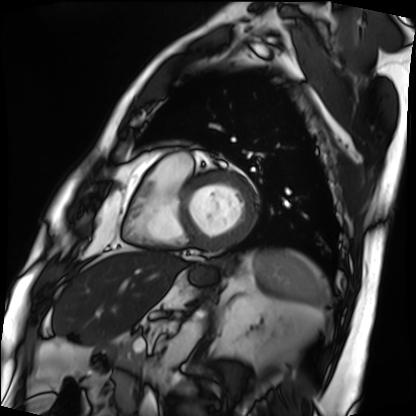
Cardiac MRI. Subject group: patient.